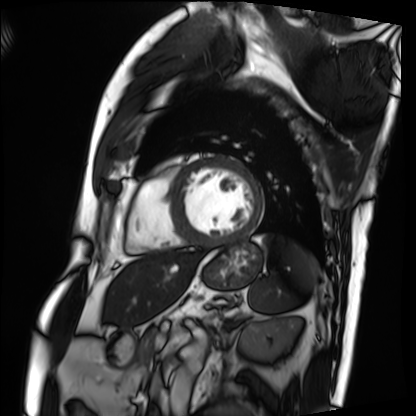
Clinical context: Cardiac MRI. Subject group: patient.